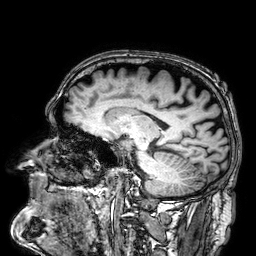
Summary: 3 Tesla brain MRI. Series: 3D T1-weighted. Study: ring-enhancing brain masses.